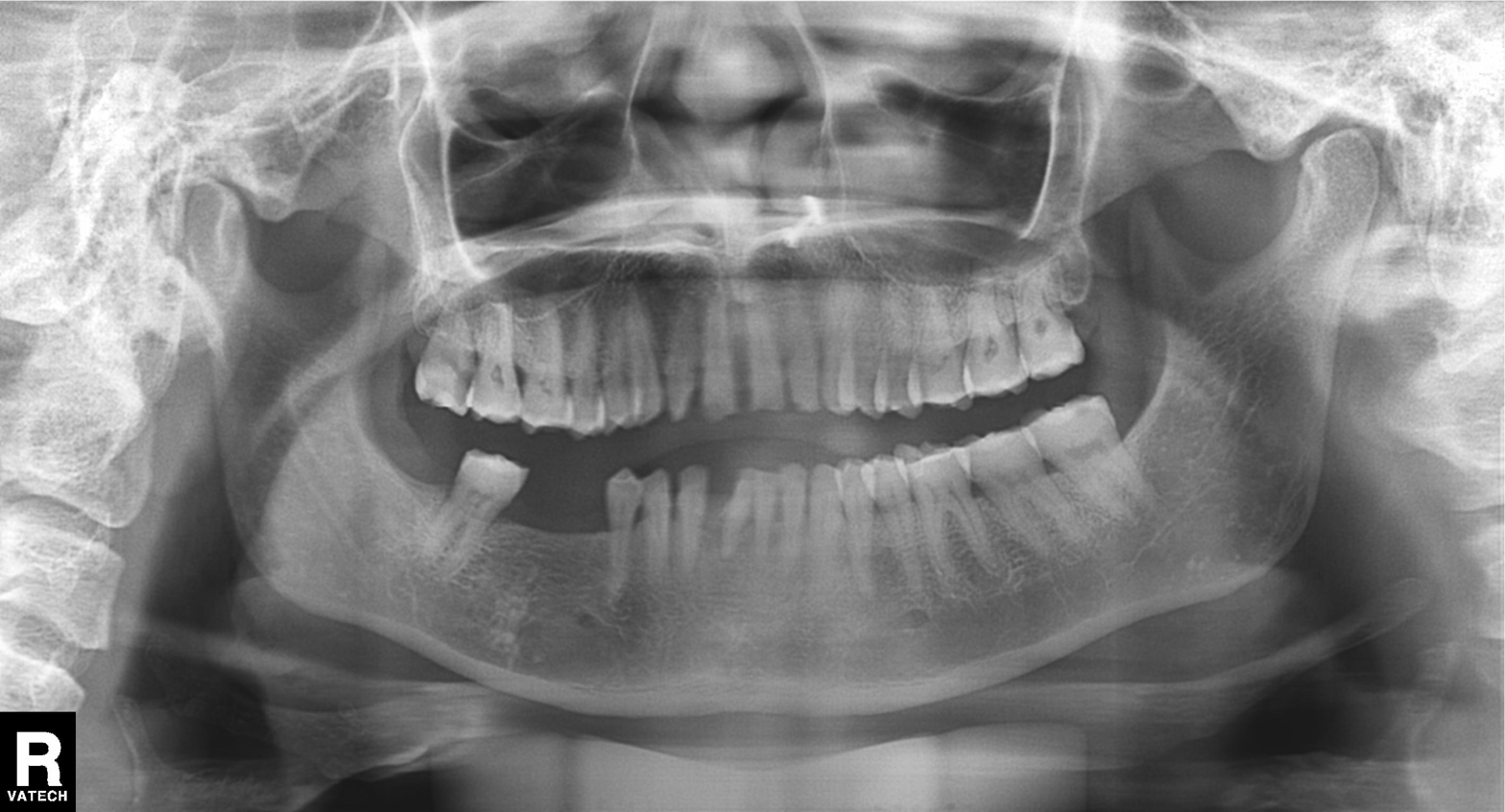
<scan>
<modality>panoramic dental radiograph (orthopantomogram)</modality>
<finding>alveolar bone loss</finding>
</scan>